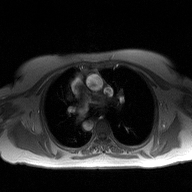
modality: 2D phase-contrast cine MRI of the ascending aorta.